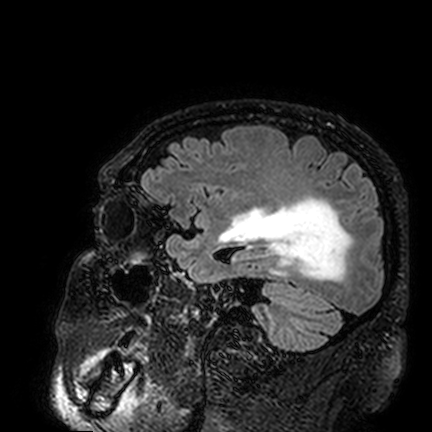
| field | value |
|---|---|
| modality | 3 Tesla brain MRI |
| series | FLAIR VISTA |
| study | ring-enhancing brain masses |